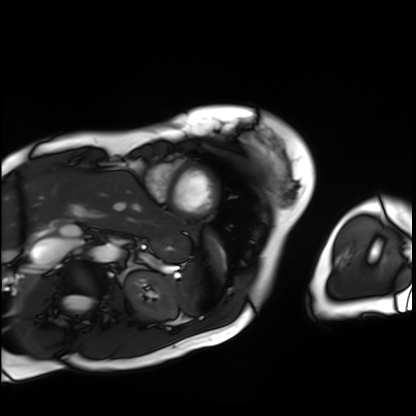
<scan>
<modality>cardiac MRI</modality>
<cohort>patient</cohort>
</scan>